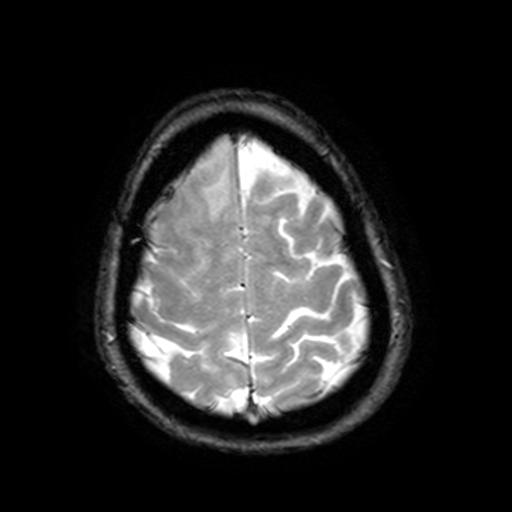
3 Tesla brain MRI.
Series: T2-weighted fast field echo with SENSE.
Study: ring-enhancing brain masses.